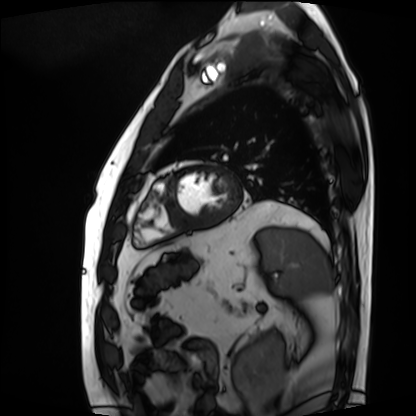
– modality · cardiac MRI
– subject group · patient